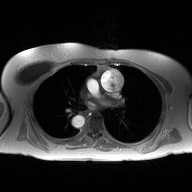
– modality · 2D phase-contrast cine MRI of the ascending aorta